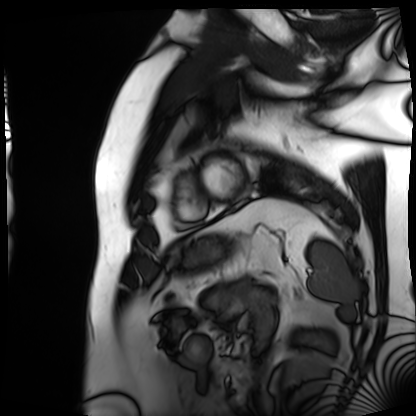
modality: cardiac MRI; subject group: patient.